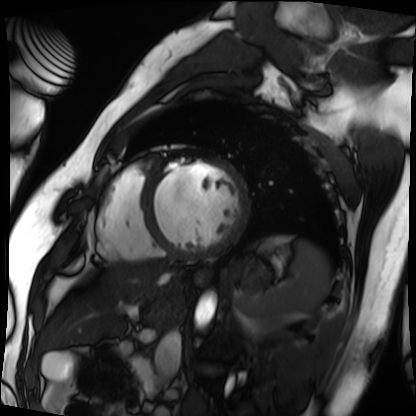
modality: cardiac MRI, subject group: patient.